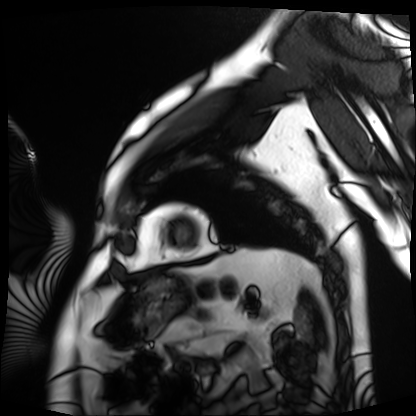
modality: cardiac MRI
subject group: patient